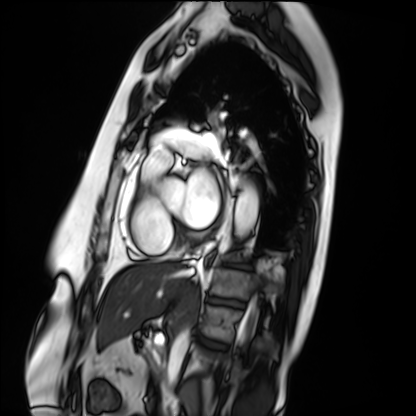
Q: What kind of scan is this?
A: Cardiac MRI.
Subject group: patient.